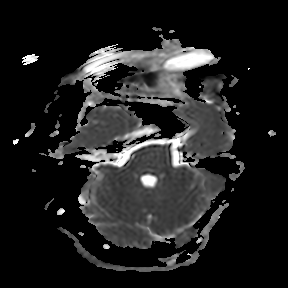
3 Tesla brain MRI.
Series: apparent diffusion coefficient (ADC) map.
Study: ring-enhancing brain masses.